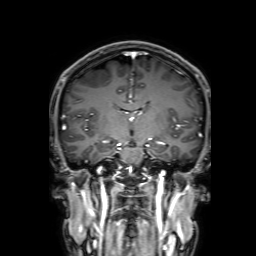
Q: What kind of scan is this?
A: 3 Tesla brain MRI.
Q: Series?
A: 3D T1-weighted with SENSE.
Study: ring-enhancing brain masses.